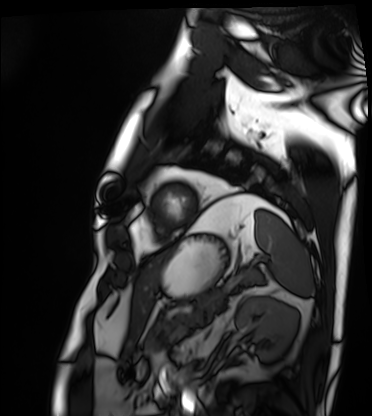
Q: What kind of scan is this?
A: Cardiac MRI.
Subject group: patient.